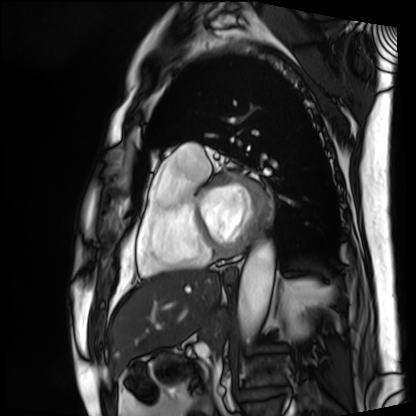
modality = cardiac MRI, subject group = patient.